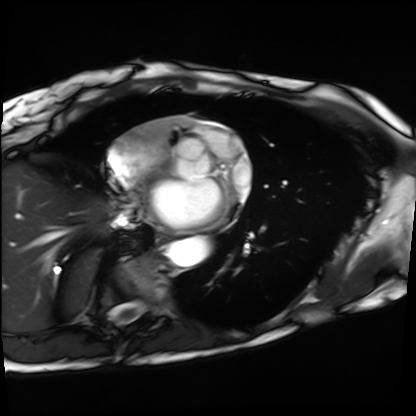
- modality: cardiac MRI
- subject group: patient